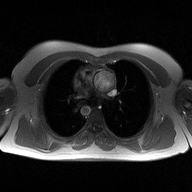
2D phase-contrast cine MRI of the ascending aorta, high-resolution GRAPPA acquisition.